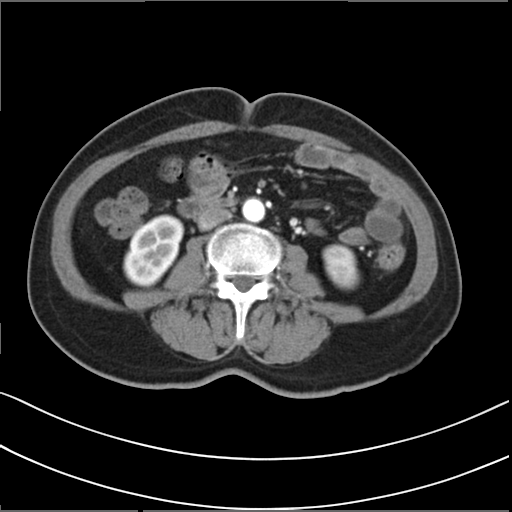
modality: multiphase abdominal CT, liver, arterial phase; patient: female, age 58; history: prior chemotherapy.